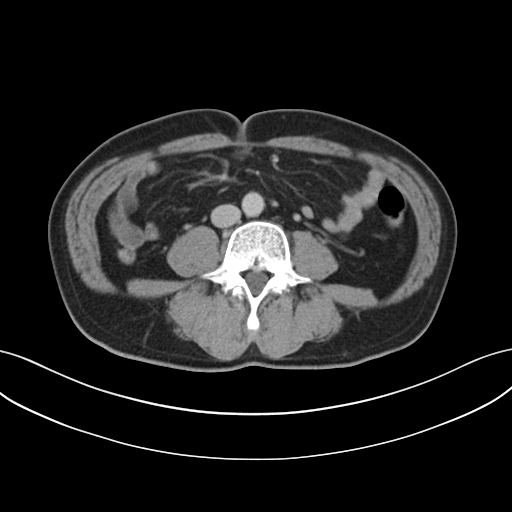
Multiphase abdominal CT, liver, delayed phase.
Patient: male, age 63.